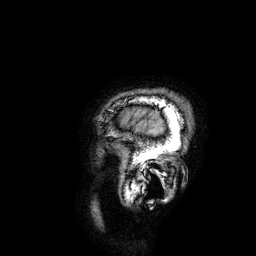
3 Tesla brain MRI. Series: 3D T1-weighted. Study: ring-enhancing brain masses.